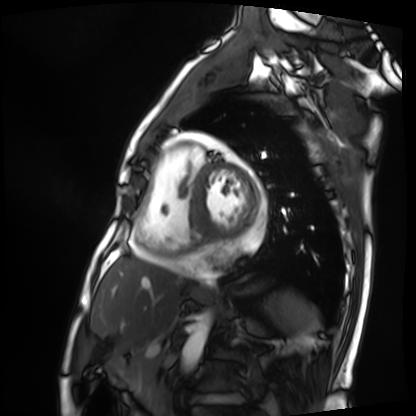
modality — cardiac MRI | subject group — patient.